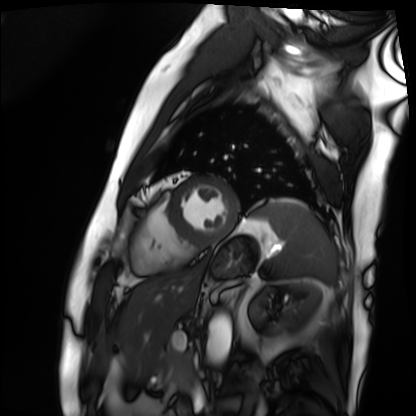
{"modality": "cardiac MRI", "cohort": "patient"}